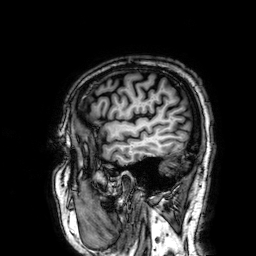
modality = 3 Tesla brain MRI | series = 3D T1-weighted | study = ring-enhancing brain masses.